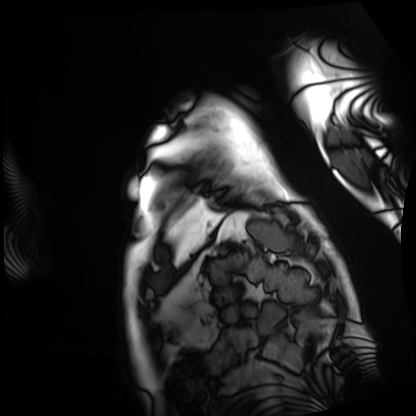
Cardiac MRI. Subject group: patient.